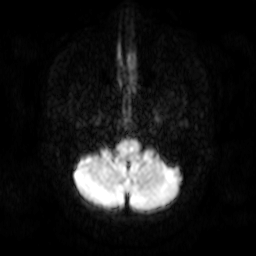
3 Tesla brain MRI. Series: diffusion-weighted imaging. Study: ring-enhancing brain masses.